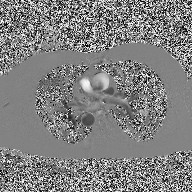
Q: What kind of scan is this?
A: 2D phase-contrast cine MRI of the ascending aorta.